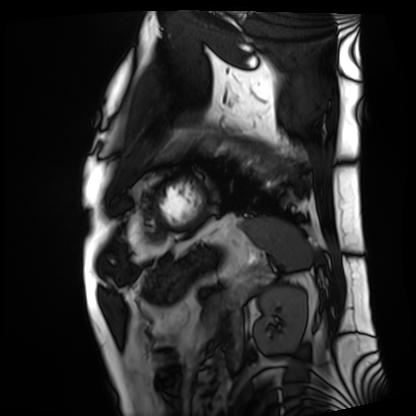
{"modality": "cardiac MRI", "cohort": "patient"}